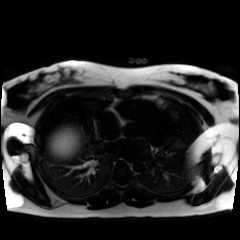
Chemical-shift-encoded cardiac MRI.